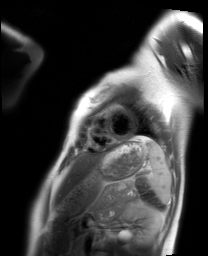
Cardiac MRI. Subject group: healthy volunteer.